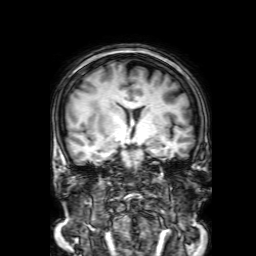
Case:
– modality · 3 Tesla brain MRI
– series · 3D T1-weighted with SENSE
– study · ring-enhancing brain masses